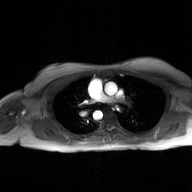
2D phase-contrast cine MRI of the ascending aorta, GAN super-resolution reconstruction.